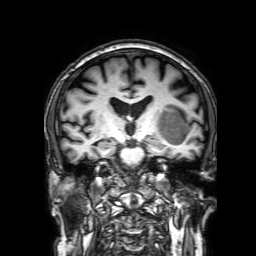
3 Tesla brain MRI. Series: 3D T1-weighted with SENSE. Study: ring-enhancing brain masses.